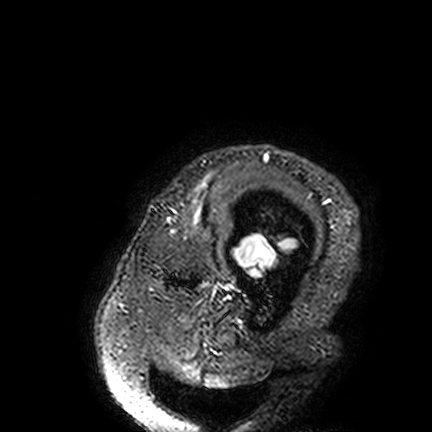
- modality: 3 Tesla brain MRI
- series: FLAIR VISTA
- study: ring-enhancing brain masses